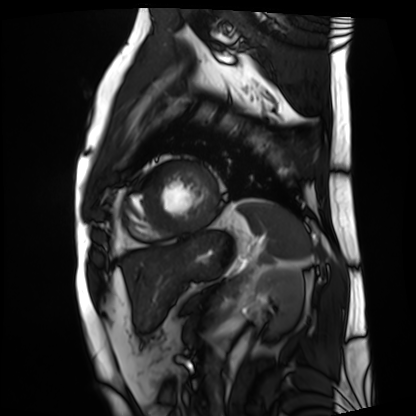
Cardiac MRI.
Subject group: patient.